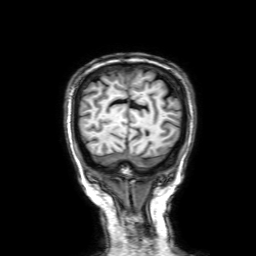
Case summary: 3 Tesla brain MRI. Series: 3D T1-weighted with SENSE. Study: ring-enhancing brain masses.